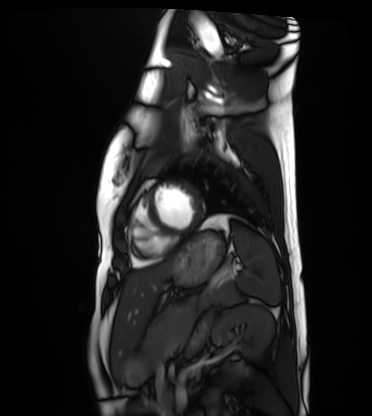
Cardiac MRI. Subject group: healthy volunteer.